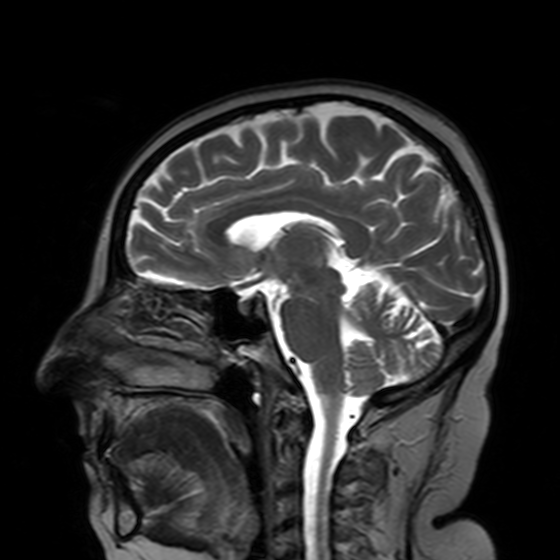
Case summary: 3 Tesla brain MRI. Series: T2-weighted turbo spin echo with SENSE. Study: ring-enhancing brain masses.